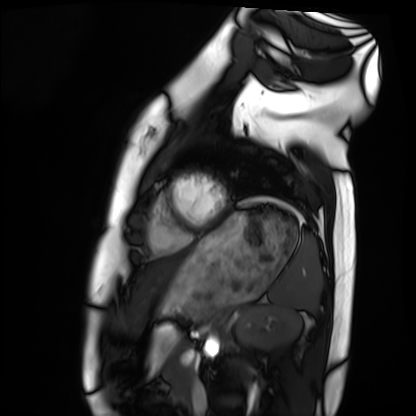
Cardiac MRI. Subject group: healthy volunteer.